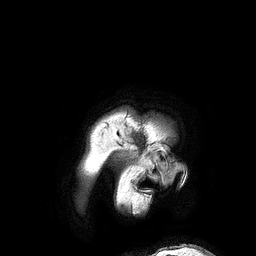
3 Tesla brain MRI.
Series: 3D T1-weighted turbo field echo.
Study: ring-enhancing brain masses.